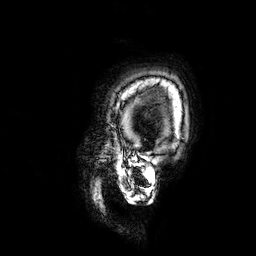
3 Tesla brain MRI. Series: 3D T1-weighted. Study: ring-enhancing brain masses.